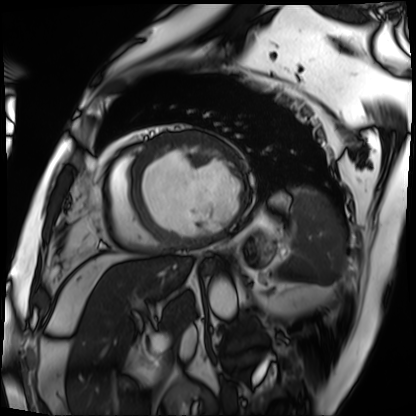
Cardiac MRI.
Subject group: patient.